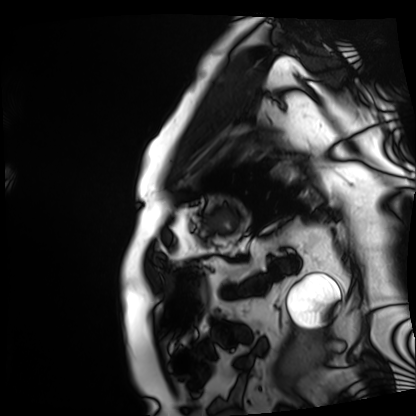
Cardiac MRI. Subject group: patient.